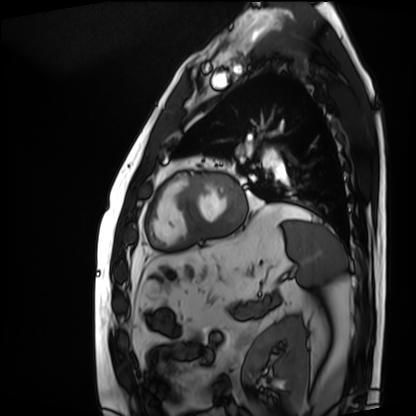
Cardiac MRI. Subject group: patient.